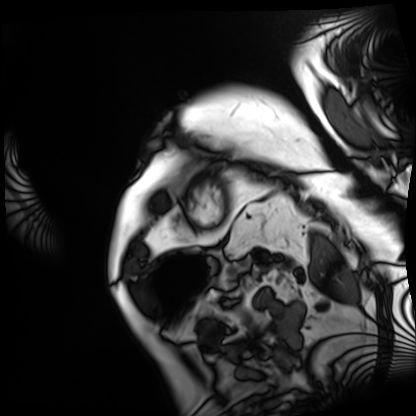
modality: cardiac MRI, subject group: patient.